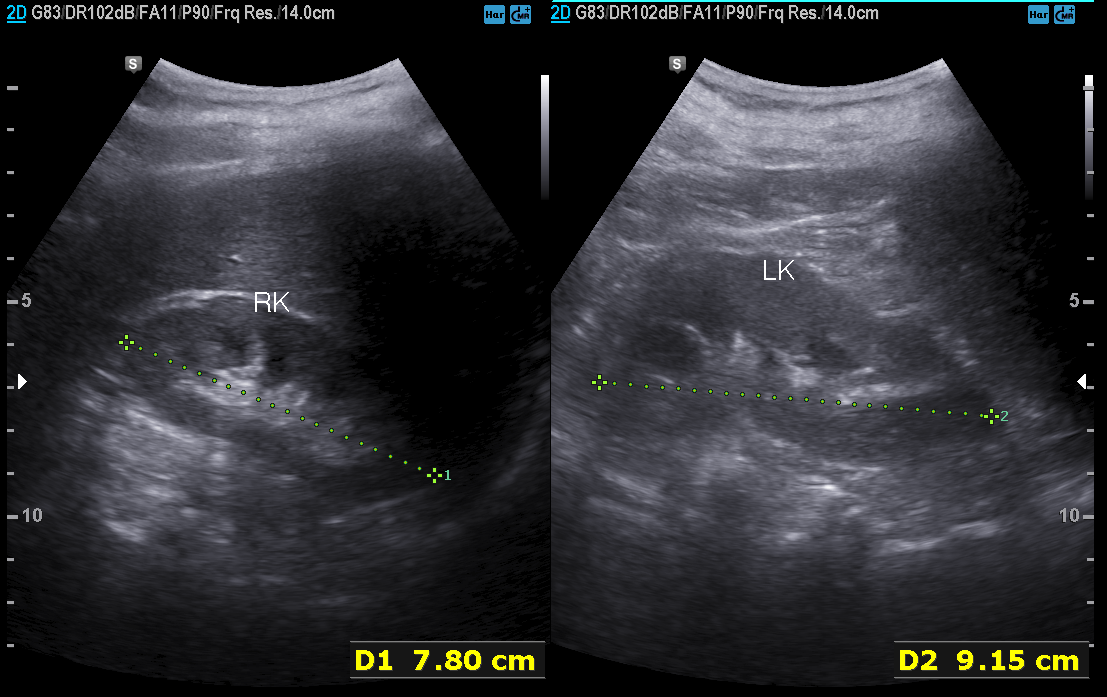
modality: genitourinary ultrasound.